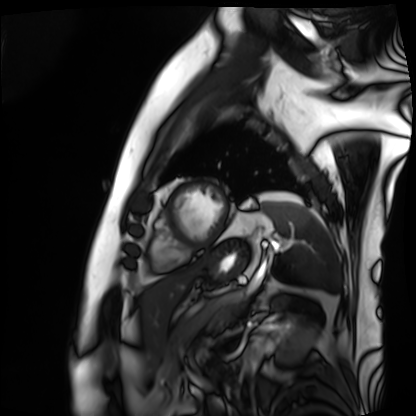
Q: What kind of scan is this?
A: Cardiac MRI.
Subject group: patient.